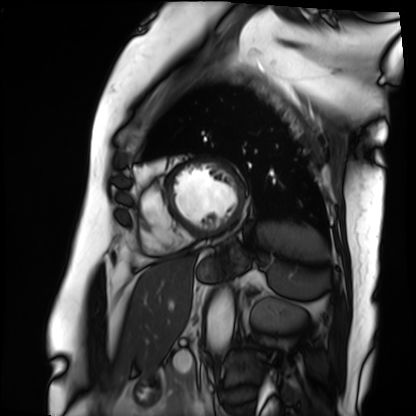
• modality · cardiac MRI
• subject group · patient